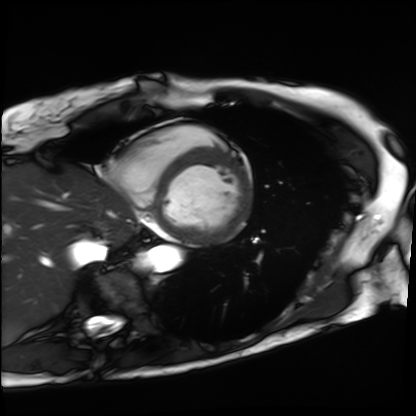
Cardiac MRI. Subject group: patient.